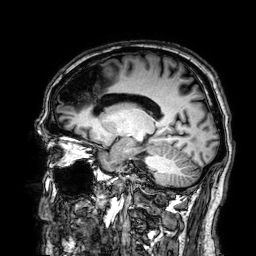
Q: What kind of scan is this?
A: 3 Tesla brain MRI.
Q: Series?
A: 3D T1-weighted.
Study: ring-enhancing brain masses.